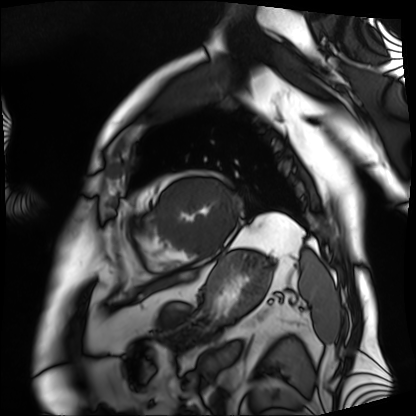
* modality · cardiac MRI
* subject group · patient